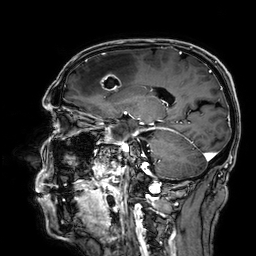
Q: What kind of scan is this?
A: 3 Tesla brain MRI.
Q: Series?
A: 3D T1-weighted.
Study: ring-enhancing brain masses.